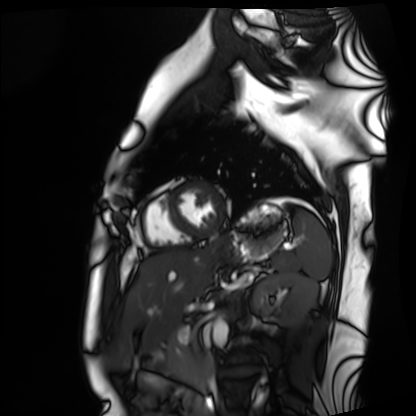
modality = cardiac MRI | subject group = healthy volunteer.